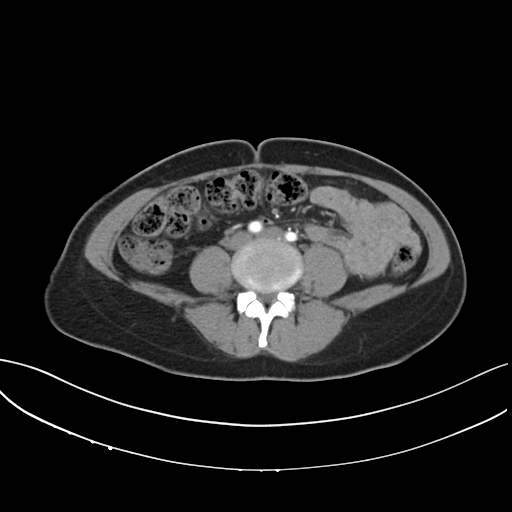
Summary:
Multiphase abdominal CT, liver, arterial phase. Patient: female, age 42.